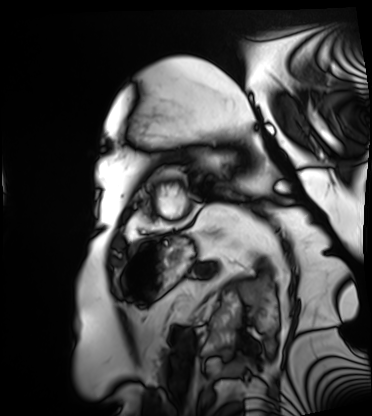
Cardiac MRI. Subject group: patient.